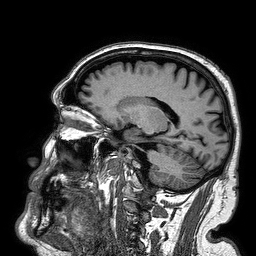
3 Tesla brain MRI. Series: 3D T1-weighted turbo field echo. Study: ring-enhancing brain masses.